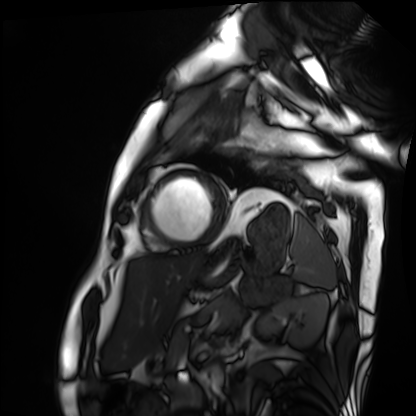
Cardiac MRI. Subject group: patient.